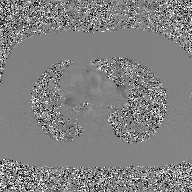
2D phase-contrast cine MRI of the ascending aorta, GAN super-resolution reconstruction.